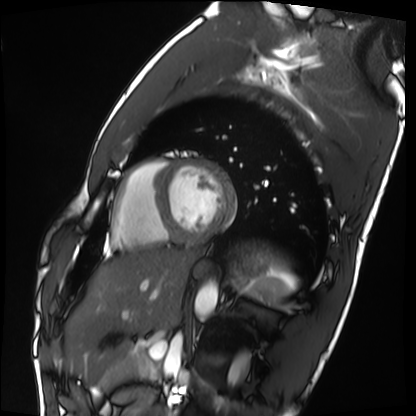
• modality · cardiac MRI
• subject group · healthy volunteer